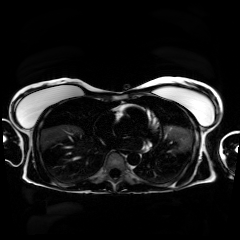
Chemical-shift-encoded cardiac MRI.